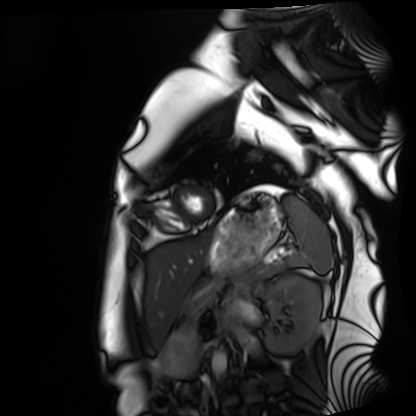
Summary: Cardiac MRI. Subject group: healthy volunteer.